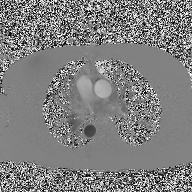
Case summary: 2D phase-contrast cine MRI of the ascending aorta, high-resolution GRAPPA acquisition.